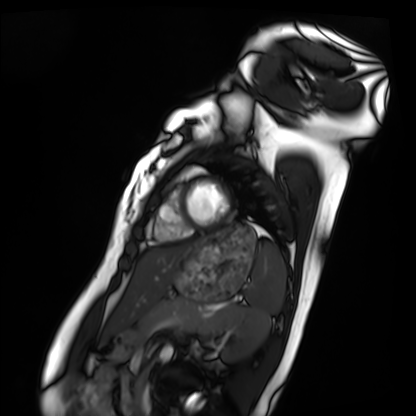
Summary:
Cardiac MRI. Subject group: healthy volunteer.